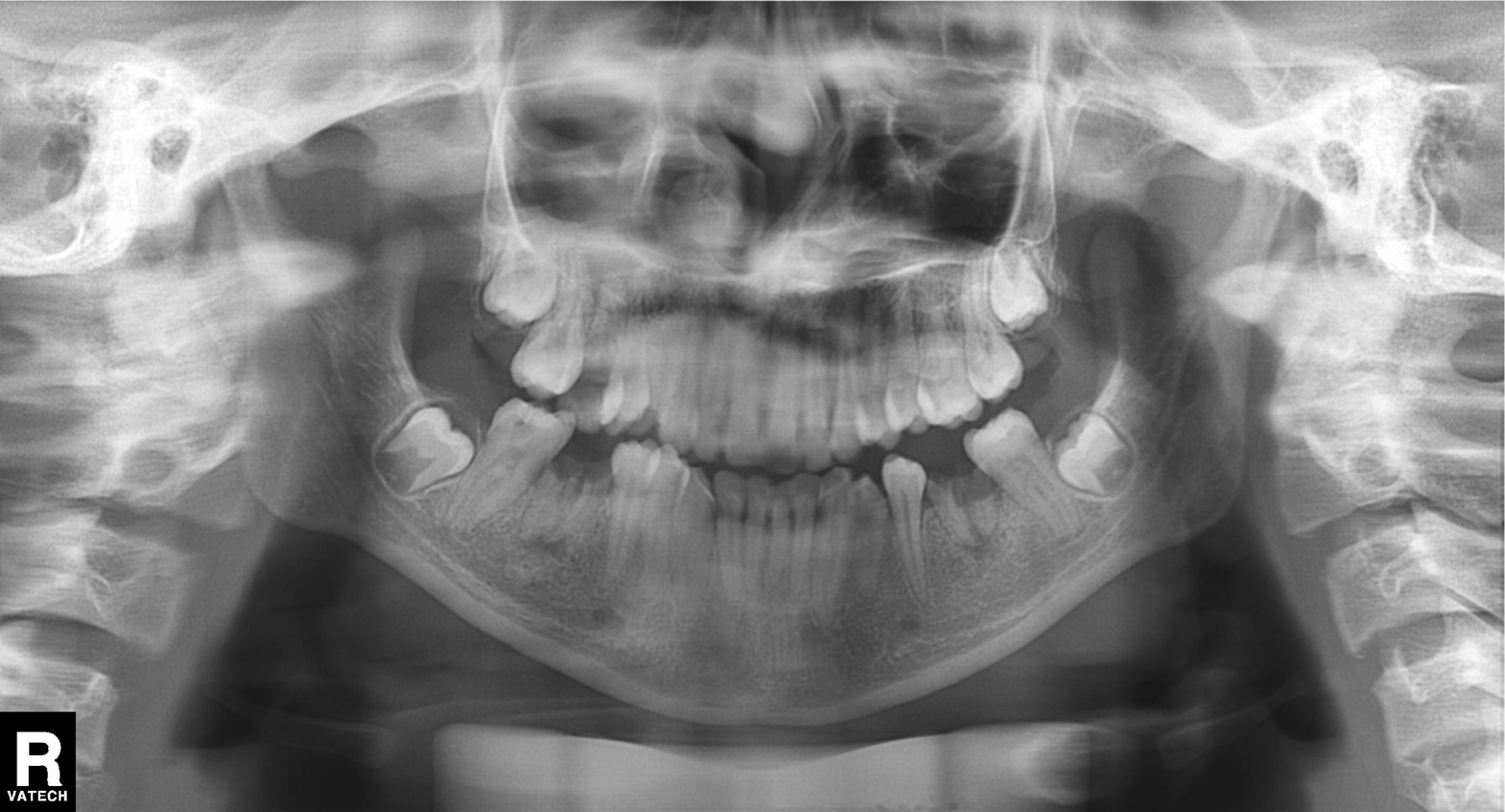
Panoramic dental radiograph (orthopantomogram). Finding: tooth impaction.